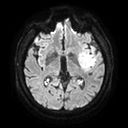
Case:
• modality · 3 Tesla brain MRI
• series · diffusion tensor imaging (medium iso)
• study · ring-enhancing brain masses